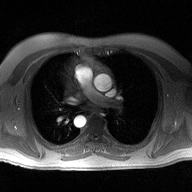
modality: 2D phase-contrast cine MRI of the ascending aorta